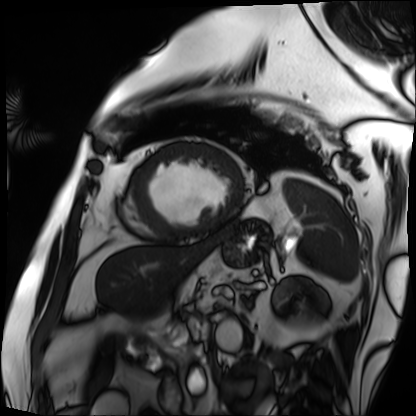
modality: cardiac MRI
subject group: patient